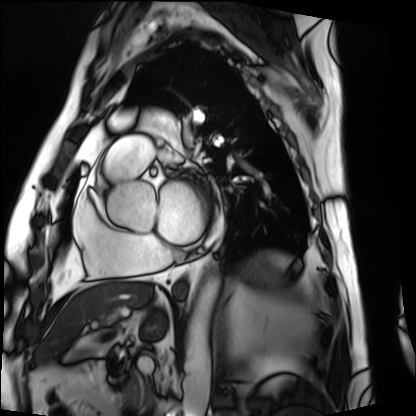
* modality: cardiac MRI
* subject group: patient